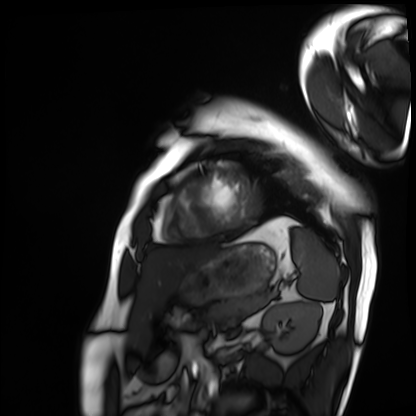
Cardiac MRI. Subject group: patient.